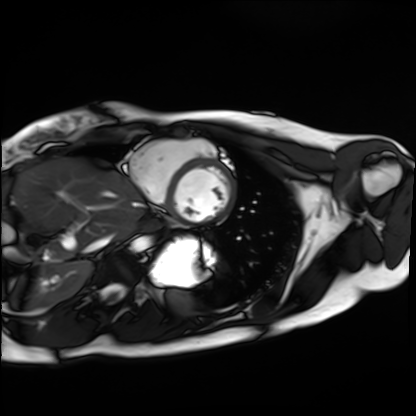
modality=cardiac MRI | subject group=healthy volunteer.